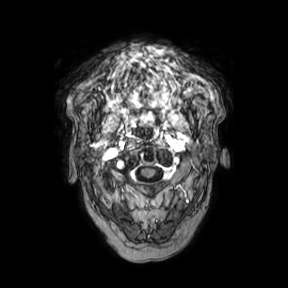
Summary:
3 Tesla brain MRI. Series: axial. Study: ring-enhancing brain masses.